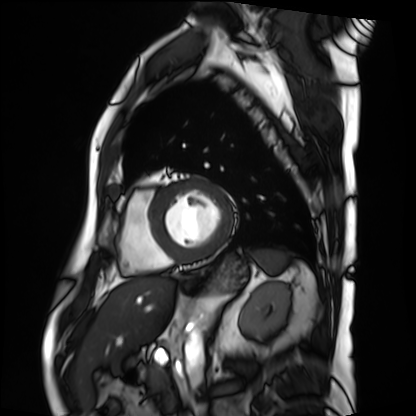
Q: What kind of scan is this?
A: Cardiac MRI.
Subject group: patient.